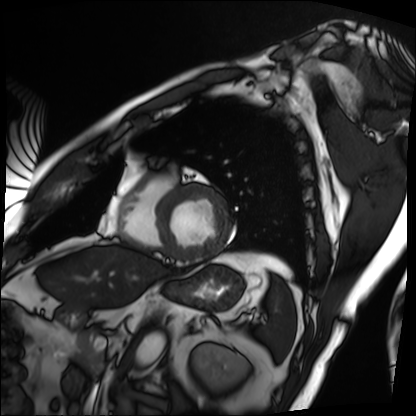
Summary: Cardiac MRI. Subject group: patient.